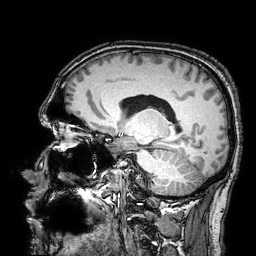
modality=3 Tesla brain MRI; series=3D T1-weighted turbo field echo with SENSE; study=ring-enhancing brain masses.